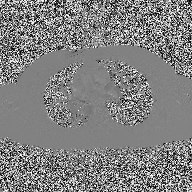
{
  "modality": {
    "type": "2D phase-contrast cine MRI",
    "region": "ascending aorta",
    "reconstruction": "high-resolution GRAPPA acquisition"
  }
}